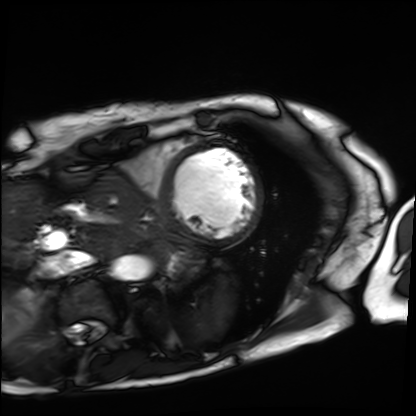
• modality: cardiac MRI
• subject group: patient